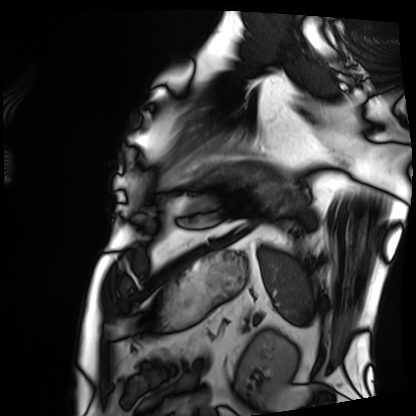
Cardiac MRI.
Subject group: patient.